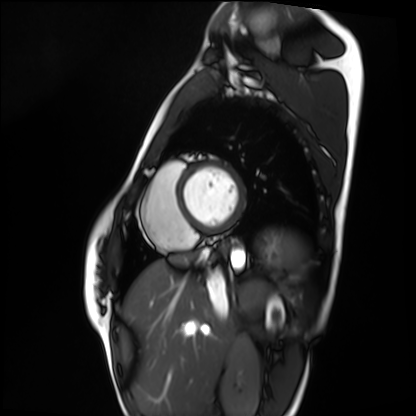
Q: What kind of scan is this?
A: Cardiac MRI.
Subject group: healthy volunteer.